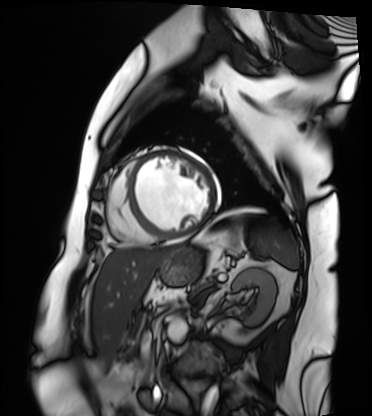
Cardiac MRI.
Subject group: patient.